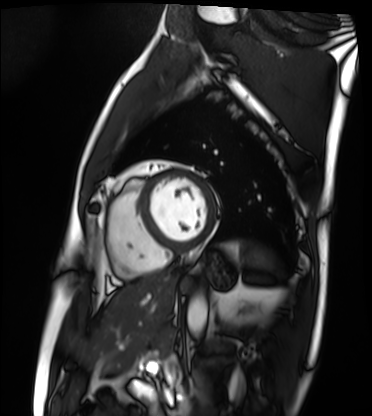
Summary:
Cardiac MRI. Subject group: patient.